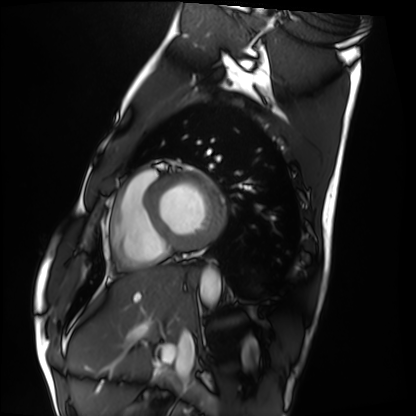
Cardiac MRI.
Subject group: healthy volunteer.